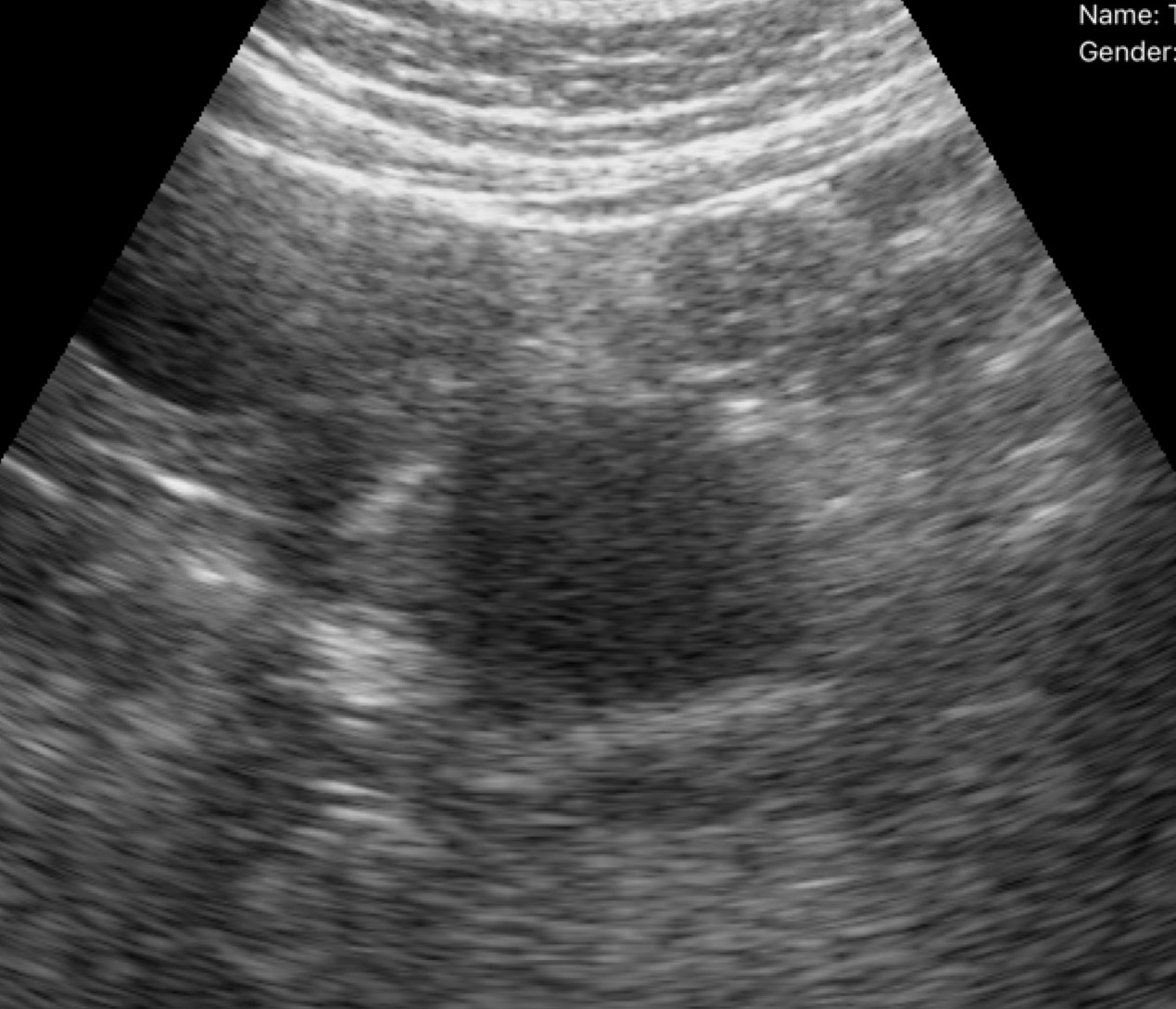
Genitourinary ultrasound.